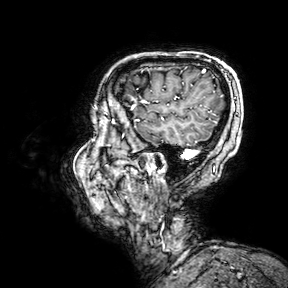
Summary:
3 Tesla brain MRI. Series: 3D T1-weighted turbo field echo with SENSE. Study: ring-enhancing brain masses.